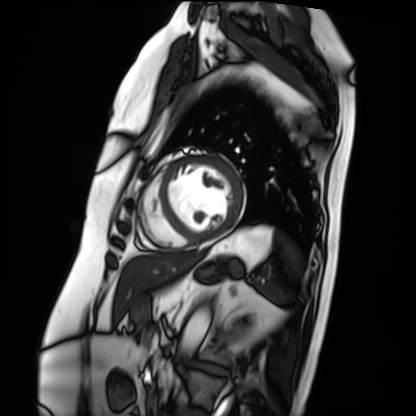
<record>
<modality>cardiac MRI</modality>
<cohort>patient</cohort>
</record>